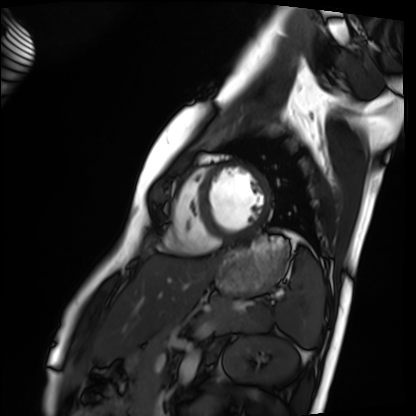
Clinical context: Cardiac MRI. Subject group: healthy volunteer.